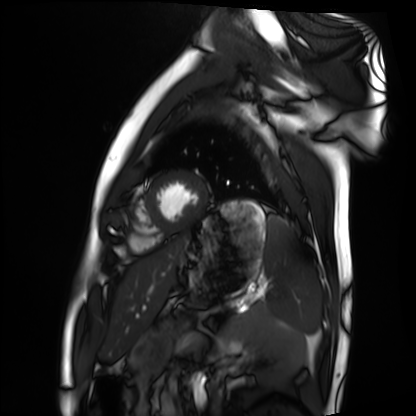
{"modality": "cardiac MRI", "cohort": "healthy volunteer"}